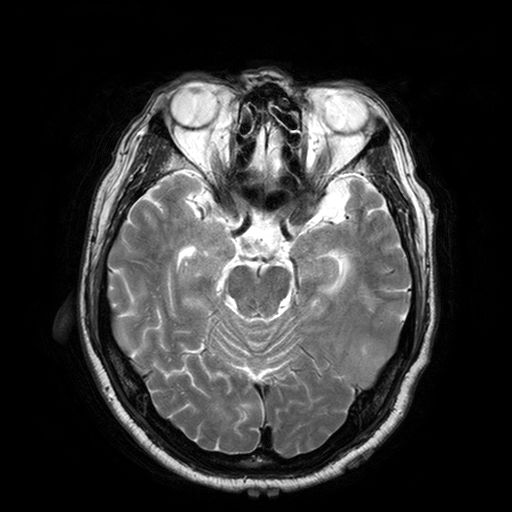
Case summary: 3 Tesla brain MRI. Series: T2-weighted turbo spin echo with SENSE. Study: ring-enhancing brain masses.